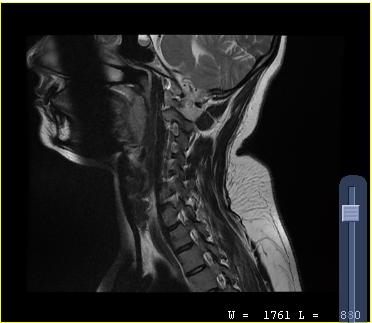
Summary: MRI of the cervical spine. Study: cervical spondylosis.